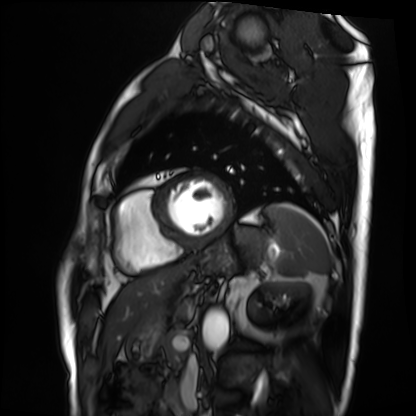
Cardiac MRI.
Subject group: patient.